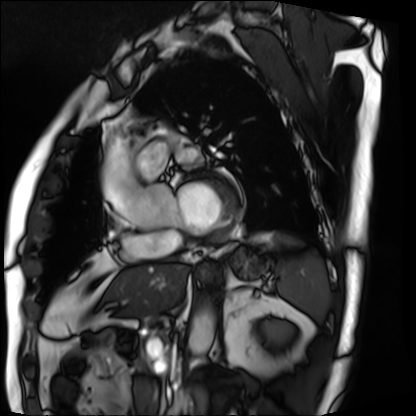
– modality — cardiac MRI
– subject group — patient